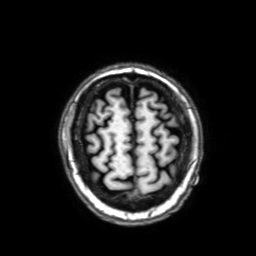
modality=3 Tesla brain MRI
study=ring-enhancing brain masses